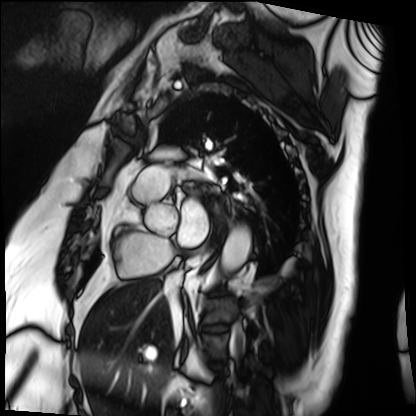
Cardiac MRI. Subject group: patient.